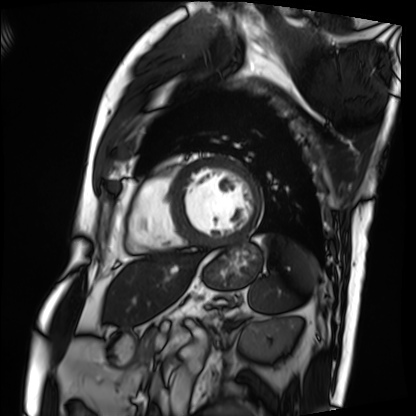
Summary: Cardiac MRI. Subject group: patient.